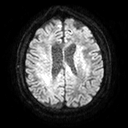
Case:
– modality · 3 Tesla brain MRI
– series · diffusion tensor imaging (medium iso)
– study · ring-enhancing brain masses